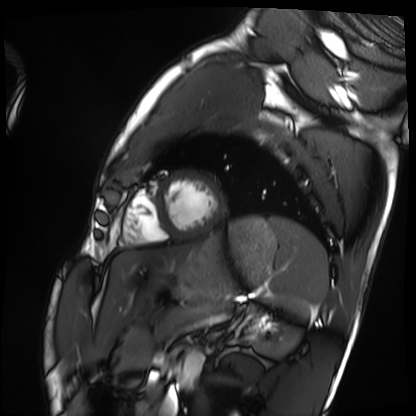
Summary: Cardiac MRI. Subject group: healthy volunteer.